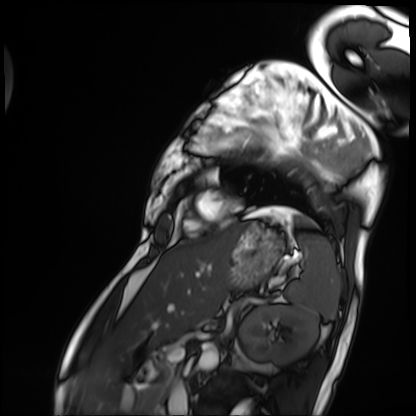
modality: cardiac MRI; subject group: patient.